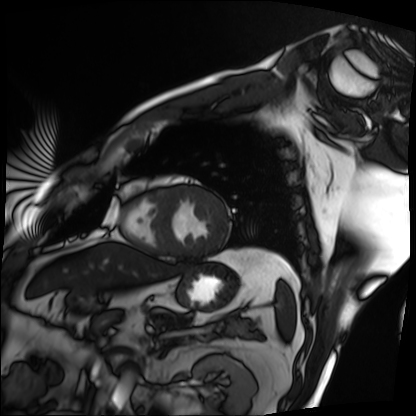
modality = cardiac MRI; subject group = patient.